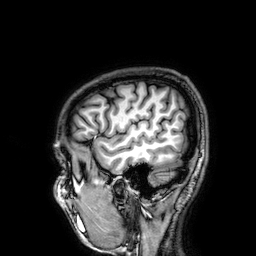
Summary:
3 Tesla brain MRI. Series: 3D T1-weighted. Study: ring-enhancing brain masses.